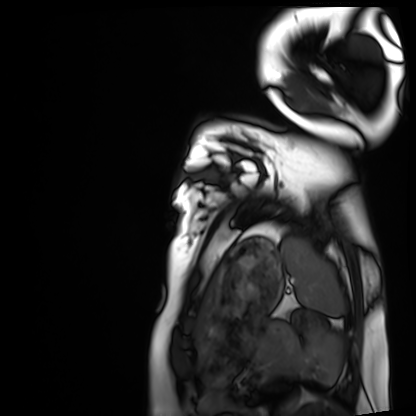
Cardiac MRI.
Subject group: healthy volunteer.